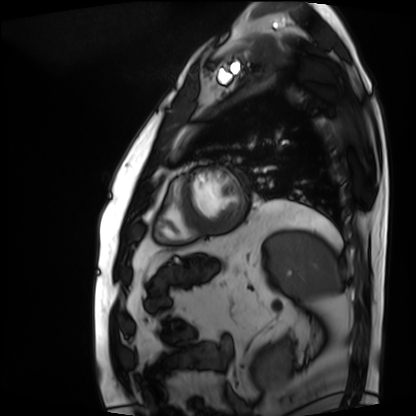
Summary:
Cardiac MRI. Subject group: patient.